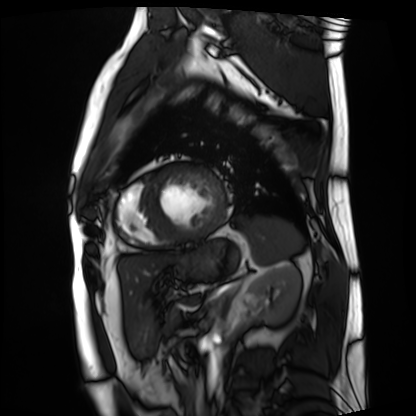
modality=cardiac MRI | subject group=patient.